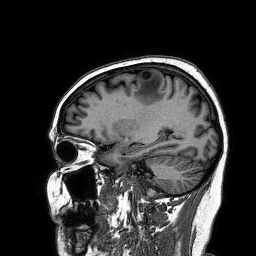
Clinical context:
3 Tesla brain MRI. Series: 3D T1-weighted turbo field echo. Study: ring-enhancing brain masses.